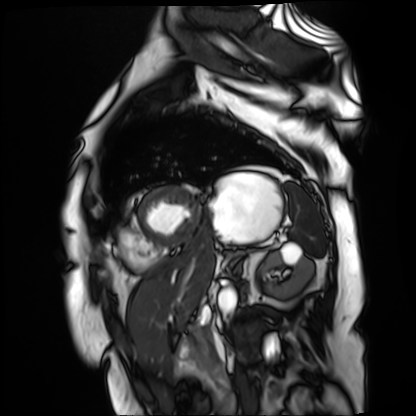
modality = cardiac MR image of the myocardium, subject cohort = cardiac patient.